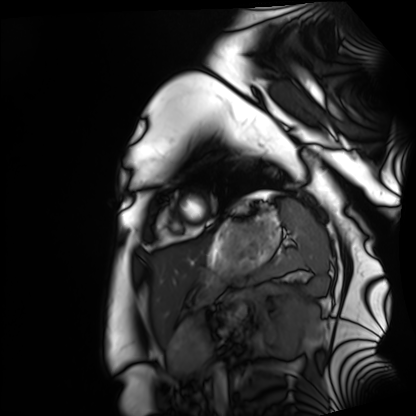
Cardiac MRI.
Subject group: healthy volunteer.